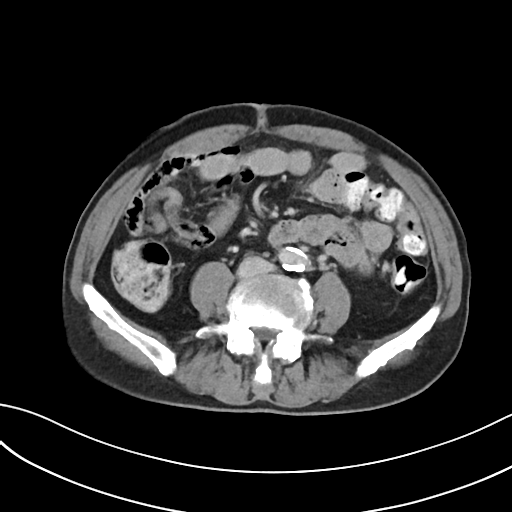
  modality:
    type: multiphase abdominal CT
    region: liver
    phase: delayed